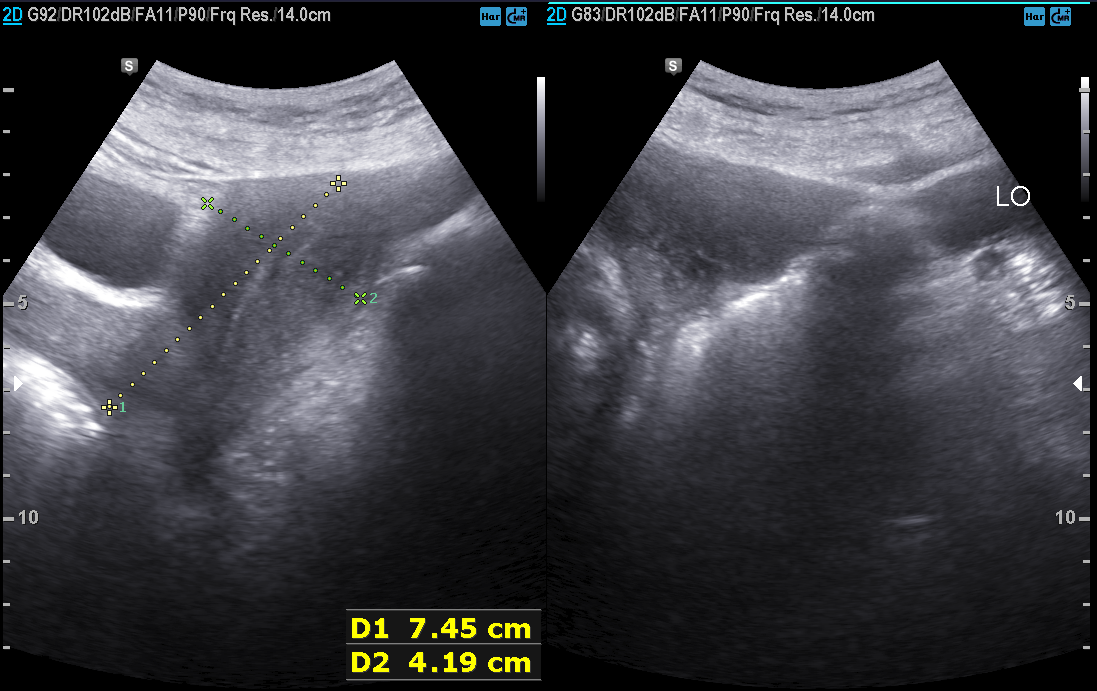
Genitourinary ultrasound.